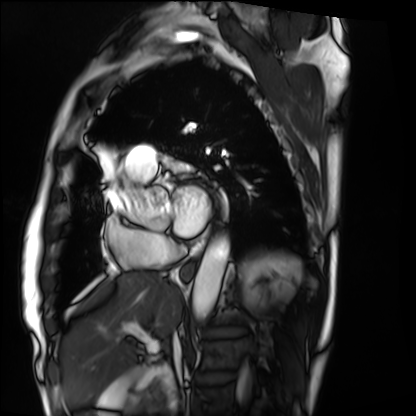
Summary:
Cardiac MRI. Subject group: patient.